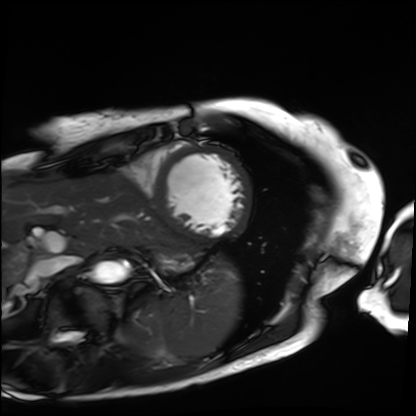
Q: What kind of scan is this?
A: Cardiac MRI.
Subject group: patient.